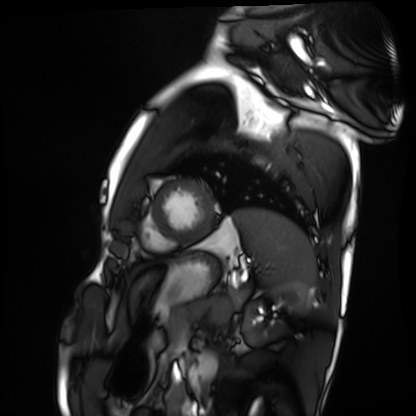
Summary: Cardiac MRI. Subject group: healthy volunteer.